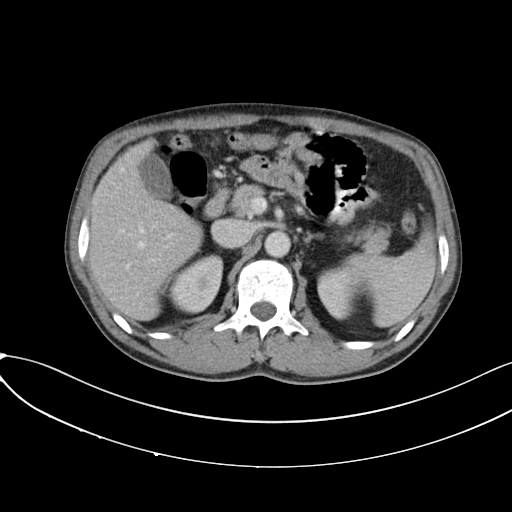
Multiphase abdominal CT, liver, portal venous phase.
Patient: male, age 50.
History: prior chemotherapy.